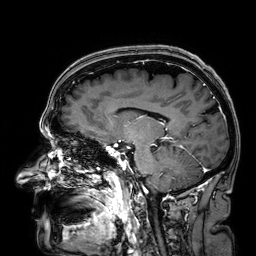
{"modality": {"type": "brain MRI", "field_strength": "3T"}, "series": "3D T1-weighted", "study_topic": "ring-enhancing brain masses"}